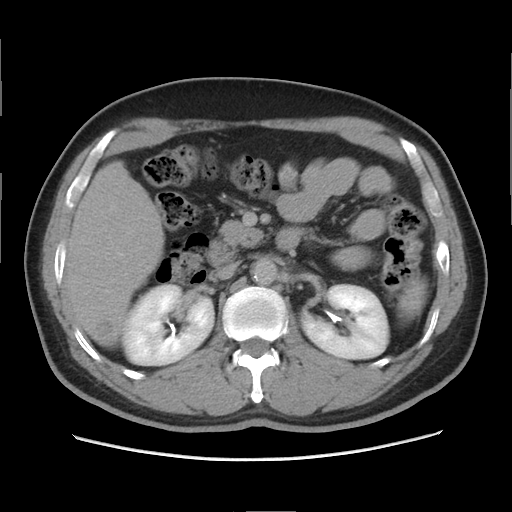
Multiphase abdominal CT, liver, delayed phase.